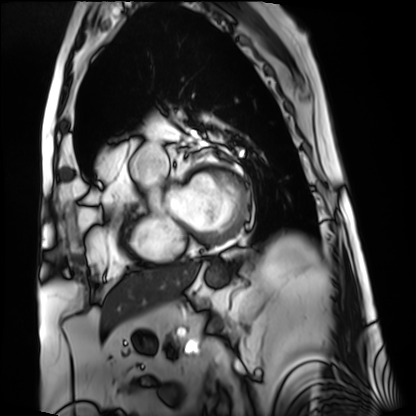
Cardiac MRI.
Subject group: patient.